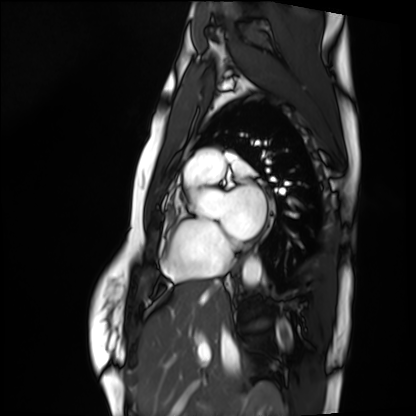
modality=cardiac MRI | subject group=healthy volunteer.